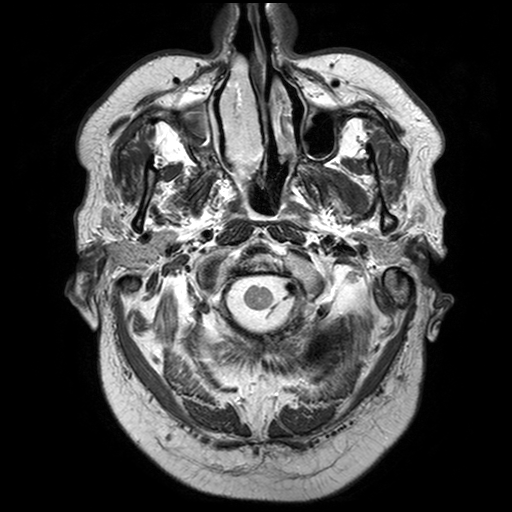
Case summary:
3 Tesla brain MRI. Series: T2-weighted turbo spin echo with SENSE. Study: ring-enhancing brain masses.